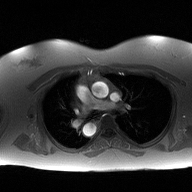
2D phase-contrast cine MRI of the ascending aorta, high-resolution GRAPPA acquisition.